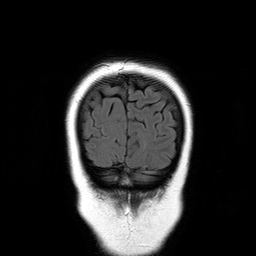
  modality:
    type: brain MRI
    field_strength: 3T
  series: T2-weighted FLAIR
  study_topic: ring-enhancing brain masses